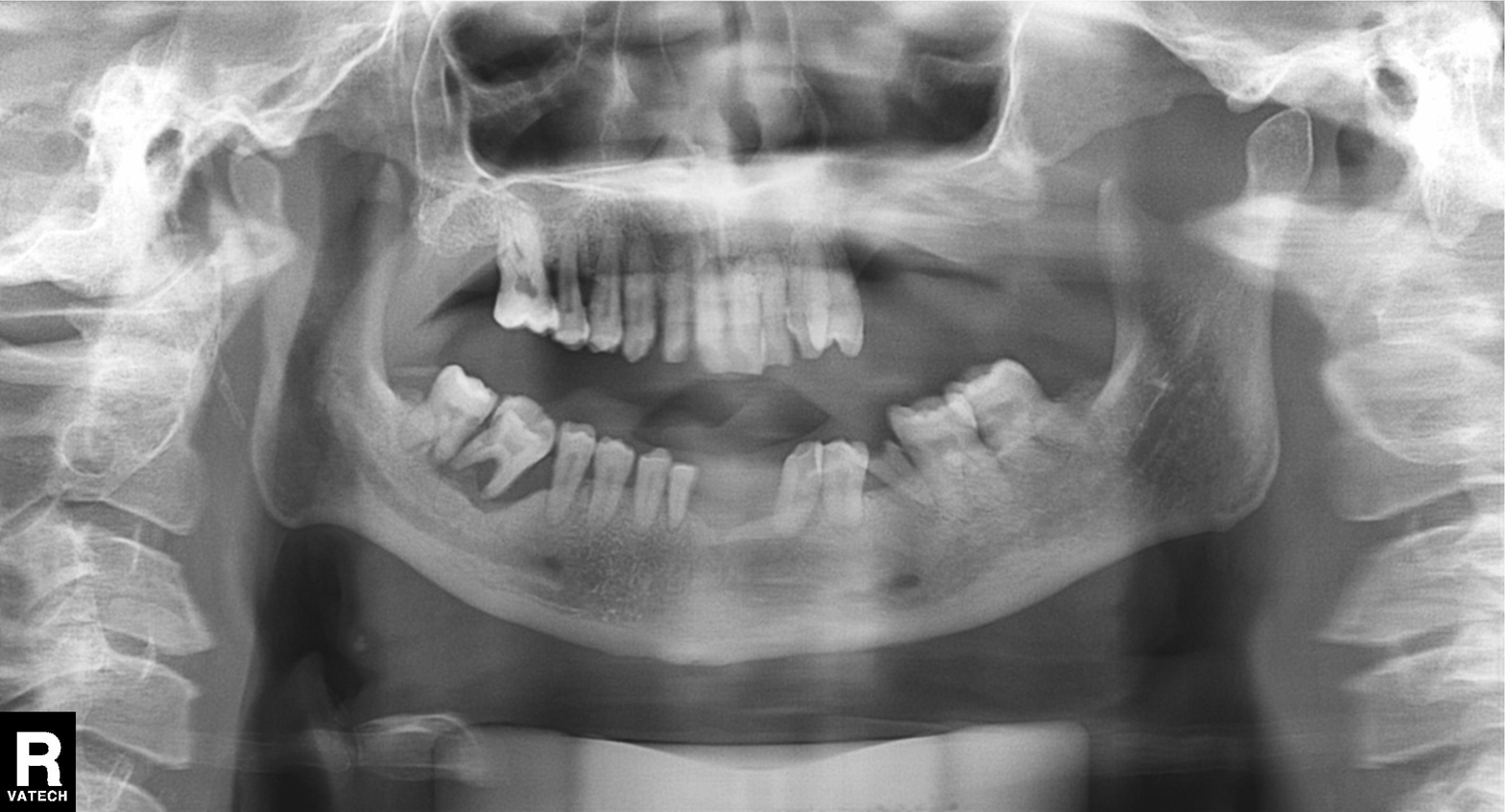
<record>
  <modality>panoramic dental radiograph (orthopantomogram)</modality>
  <finding>tooth impaction</finding>
</record>